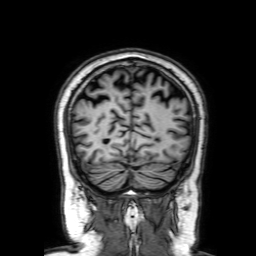
{
  "modality": {
    "type": "brain MRI",
    "field_strength": "3T"
  },
  "series": "3D T1-weighted with SENSE",
  "study_topic": "ring-enhancing brain masses"
}